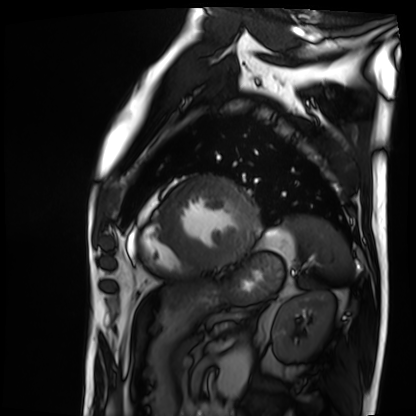
<study>
<modality>cardiac MRI</modality>
<cohort>patient</cohort>
</study>